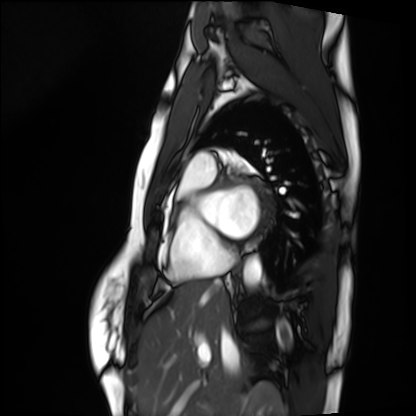
Cardiac MRI.
Subject group: healthy volunteer.